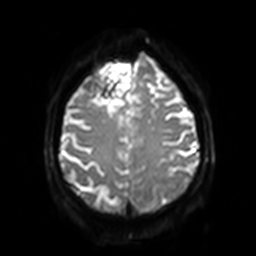
modality = 3 Tesla brain MRI
series = diffusion-weighted imaging with SENSE (WIP)
study = ring-enhancing brain masses